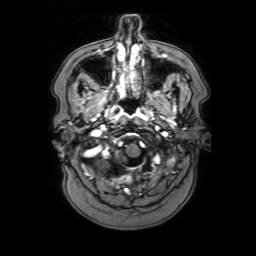
Case summary:
3 Tesla brain MRI. Series: 3D T1-weighted with SENSE. Study: ring-enhancing brain masses.